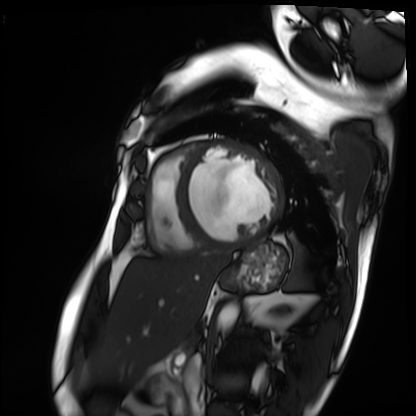
Cardiac MRI.
Subject group: patient.